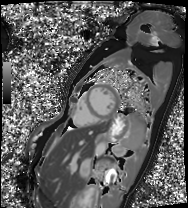
modality = cardiac MRI; subject group = patient.